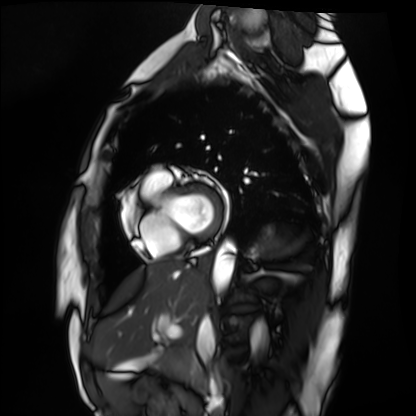
Cardiac MRI.
Subject group: healthy volunteer.